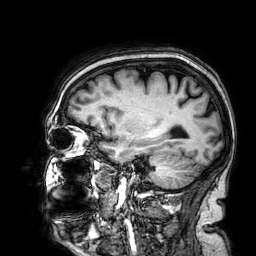
Q: What kind of scan is this?
A: 3 Tesla brain MRI.
Q: Series?
A: 3D T1-weighted.
Study: ring-enhancing brain masses.